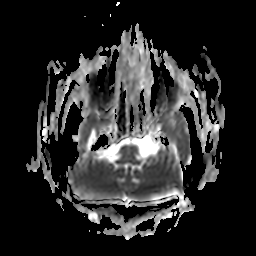
Summary: 3 Tesla brain MRI. Series: apparent diffusion coefficient (ADC) map. Study: ring-enhancing brain masses.